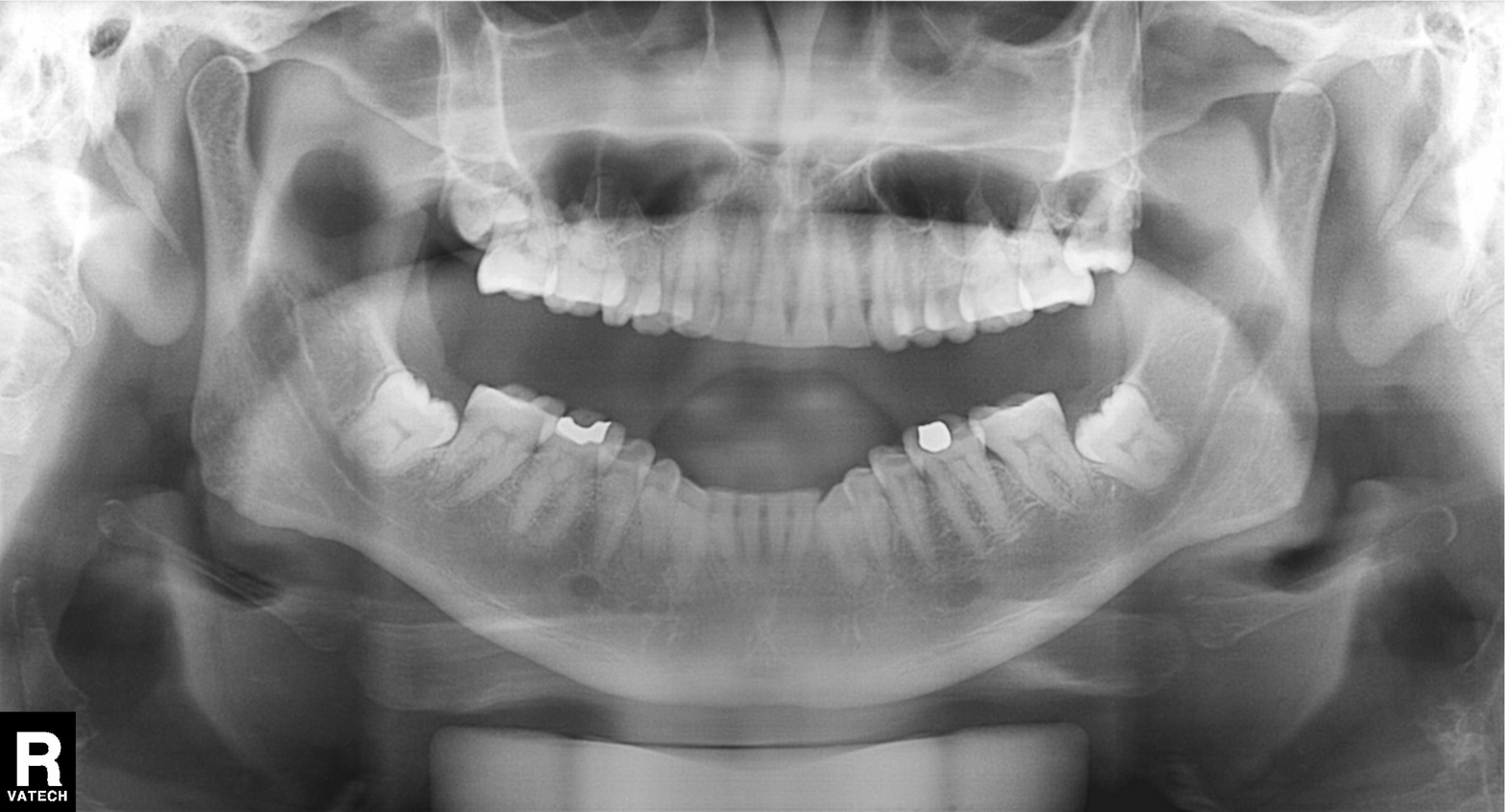
{"modality": "panoramic dental radiograph (orthopantomogram)", "finding": "alveolar bone loss"}